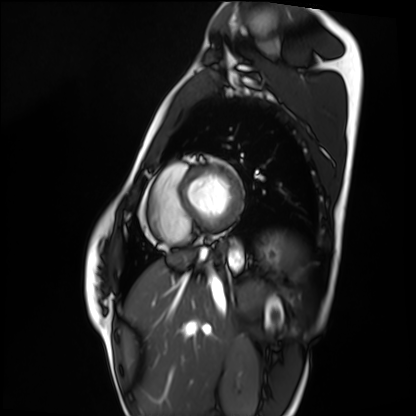
  modality: cardiac MRI
  cohort: healthy volunteer